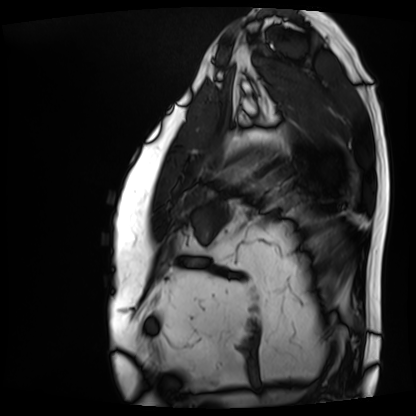
Q: What kind of scan is this?
A: Cardiac MRI.
Subject group: patient.